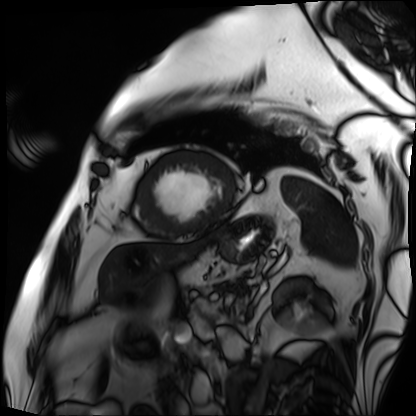
Clinical context: Cardiac MRI. Subject group: patient.